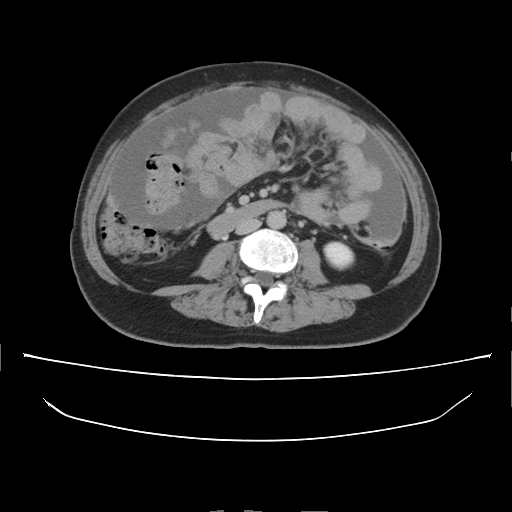
Multiphase abdominal CT, liver, delayed phase. Patient: female, age 57. History: prior chemotherapy.